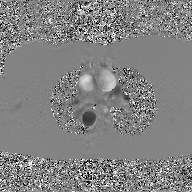
Clinical context:
2D phase-contrast cine MRI of the ascending aorta, GAN super-resolution reconstruction.